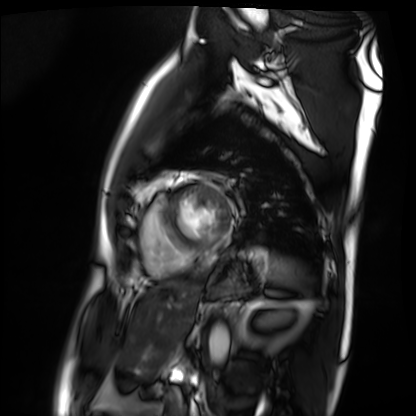
Clinical context:
Cardiac MRI. Subject group: patient.